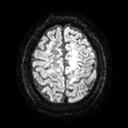
3 Tesla brain MRI.
Series: diffusion tensor imaging (medium iso).
Study: ring-enhancing brain masses.